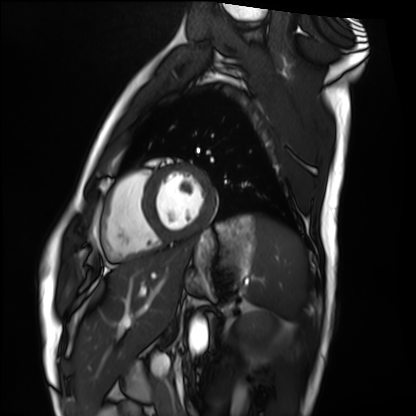
modality=cardiac MRI | subject group=healthy volunteer.